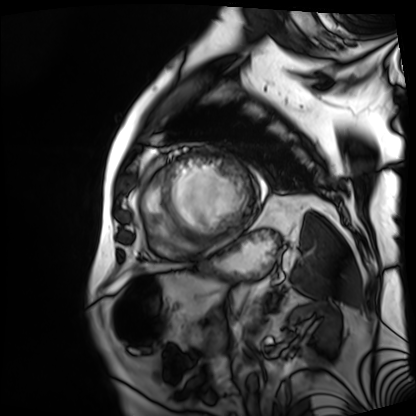
Cardiac MRI. Subject group: patient.